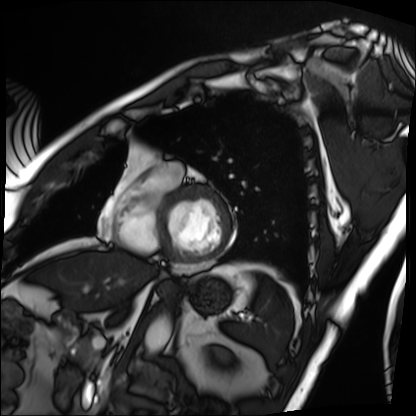
{"modality": "cardiac MRI", "cohort": "patient"}